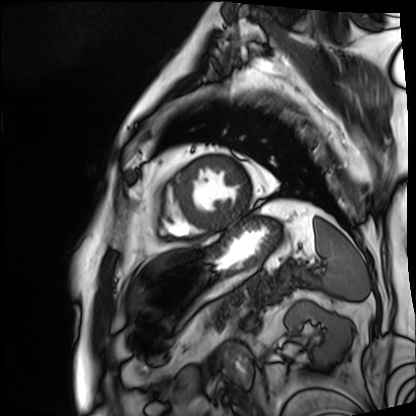
Cardiac MRI. Subject group: patient.